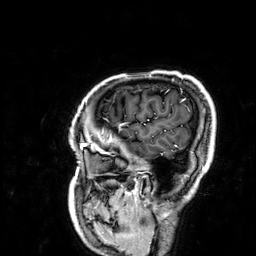
Summary:
3 Tesla brain MRI. Series: 3D T1-weighted. Study: ring-enhancing brain masses.